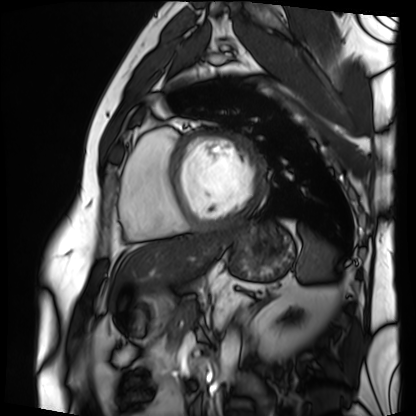
Clinical context: Cardiac MRI. Subject group: patient.